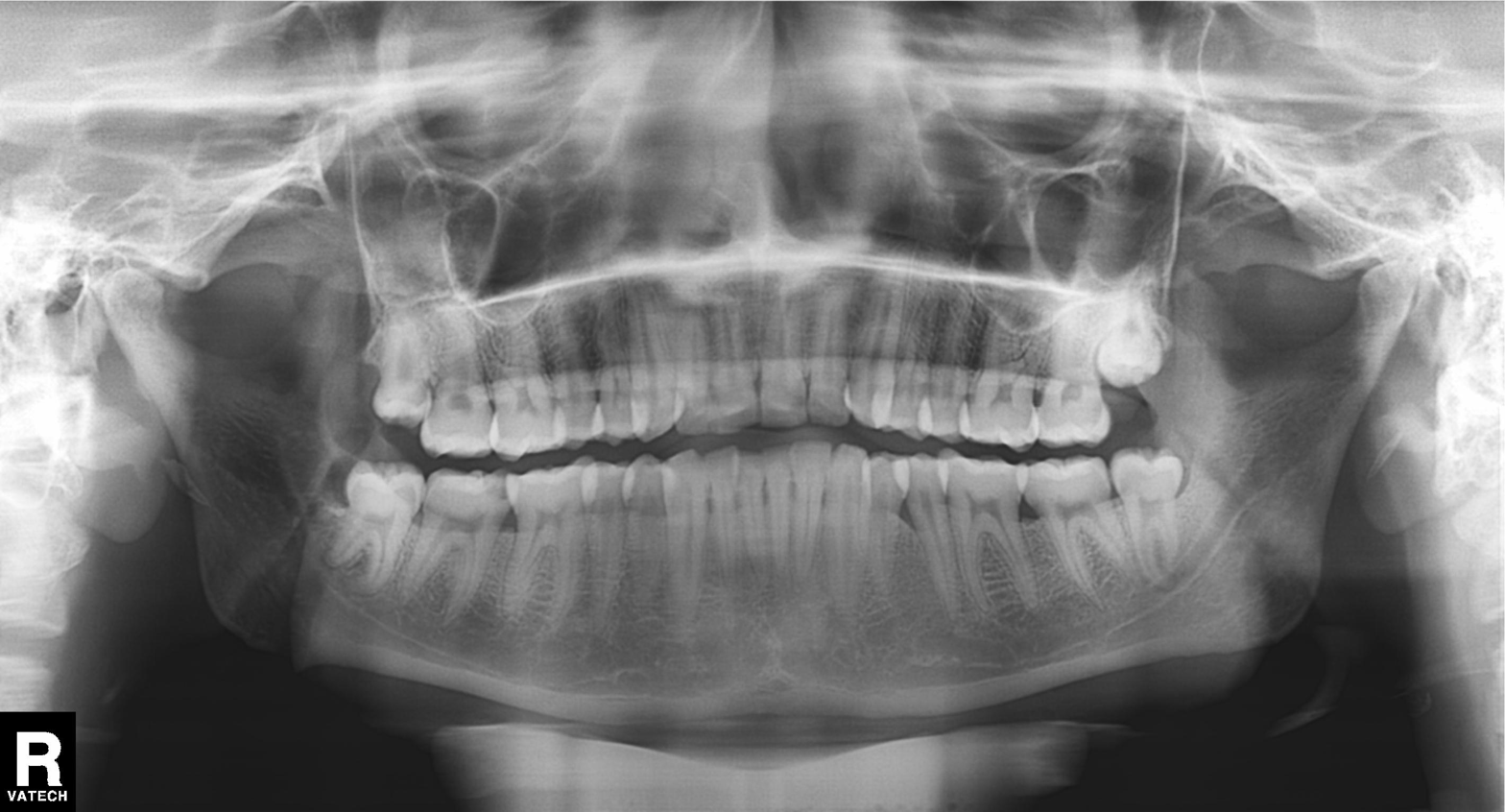
<record>
<modality>panoramic dental radiograph (orthopantomogram)</modality>
<finding>alveolar bone loss</finding>
</record>